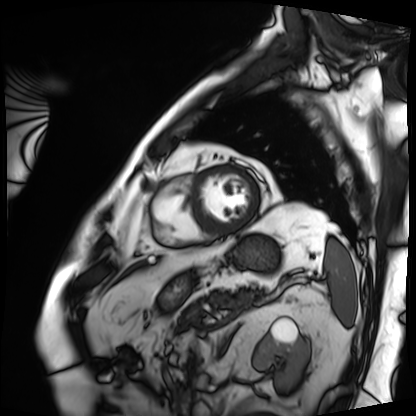
<record>
  <modality>cardiac MRI</modality>
  <cohort>patient</cohort>
</record>